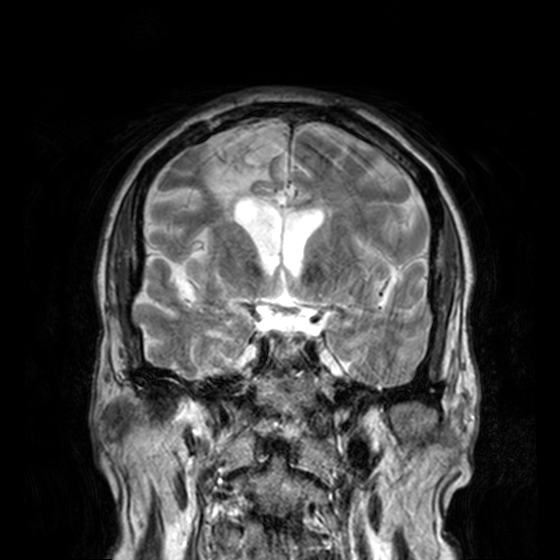
modality:
  type: brain MRI
  field_strength: 3T
series: T2-weighted turbo spin echo, 3 mm
study_topic: ring-enhancing brain masses